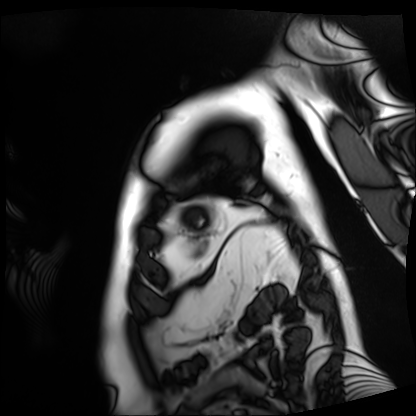
modality: cardiac MRI
subject group: patient